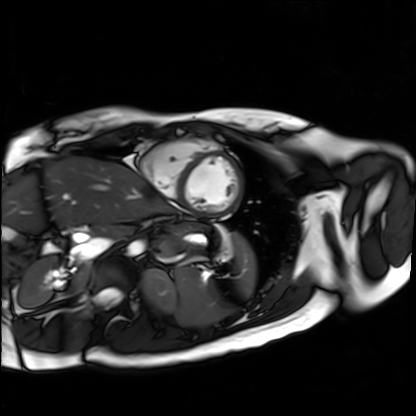
Summary:
Cardiac MR image of the myocardium. Subject cohort: healthy volunteer.